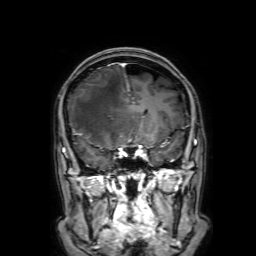
Case:
- modality — 3 Tesla brain MRI
- series — 3D T1-weighted with SENSE
- study — ring-enhancing brain masses